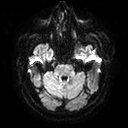
3 Tesla brain MRI. Series: diffusion tensor imaging (medium iso). Study: ring-enhancing brain masses.